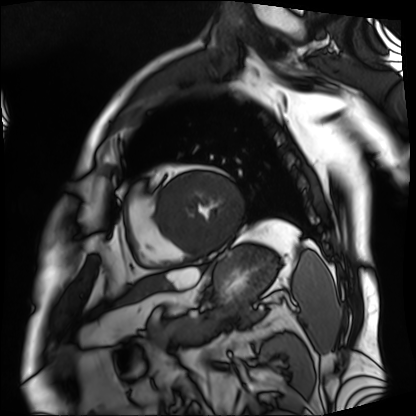
– modality: cardiac MRI
– subject group: patient